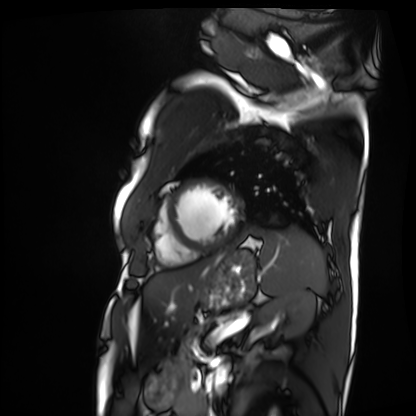
{"modality": "cardiac MRI", "cohort": "patient"}